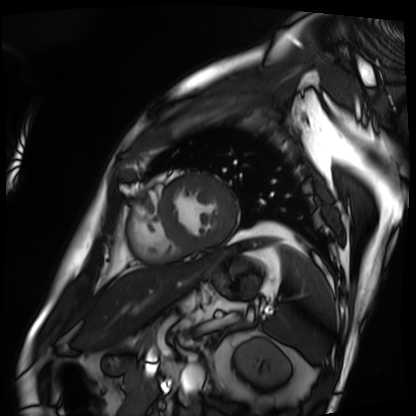
Cardiac MRI. Subject group: patient.